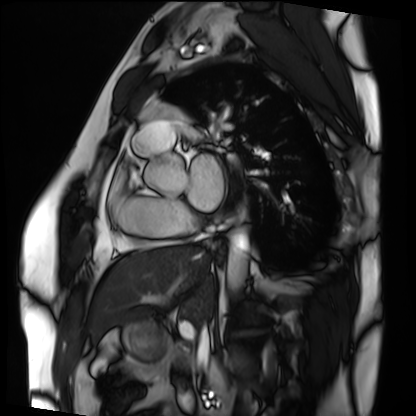
Cardiac MRI.
Subject group: patient.